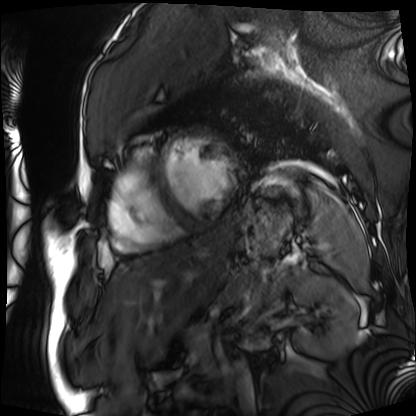
Summary:
Cardiac MRI. Subject group: patient.